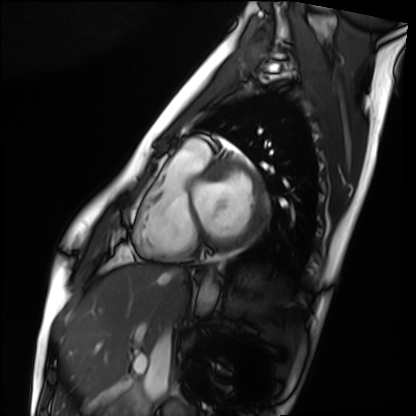
{"modality": "cardiac MRI", "cohort": "healthy volunteer"}